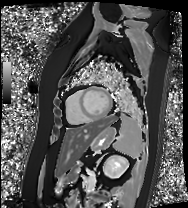
| field | value |
|---|---|
| modality | cardiac MRI |
| subject group | patient |